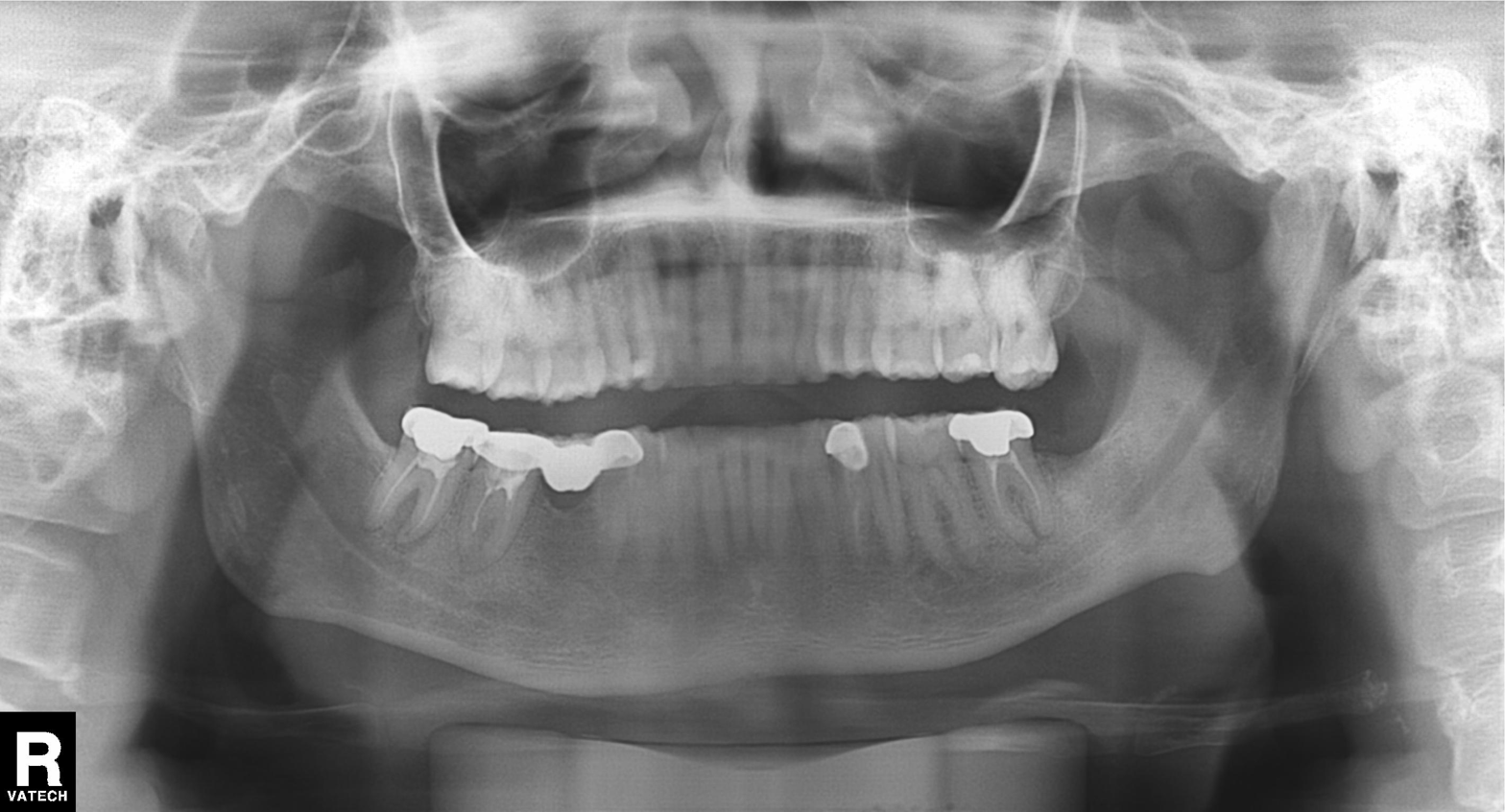
Summary: Panoramic dental radiograph (orthopantomogram).
Conclusion: Dental caries (cavities).